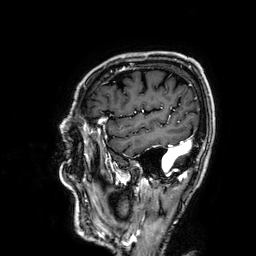
3 Tesla brain MRI. Series: 3D T1-weighted. Study: ring-enhancing brain masses.